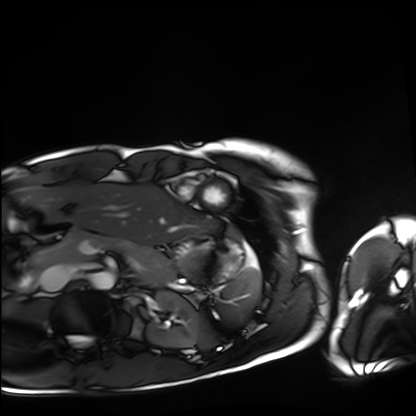
Cardiac MRI.
Subject group: healthy volunteer.